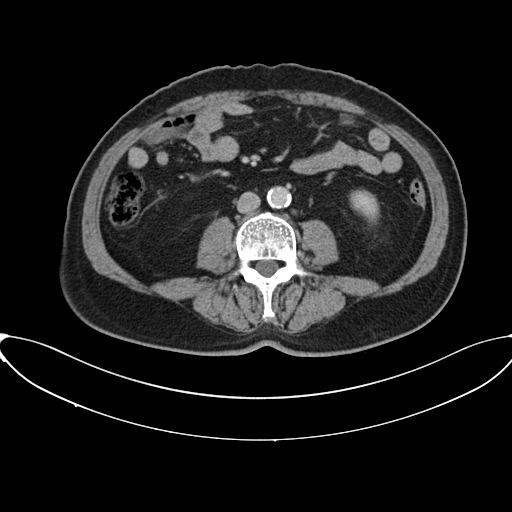
Multiphase abdominal CT, liver, portal venous phase.
Patient: male, age 66.
History: viral hepatitis.